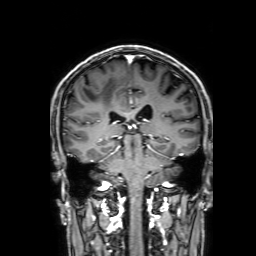
3 Tesla brain MRI. Series: 3D T1-weighted with SENSE. Study: ring-enhancing brain masses.